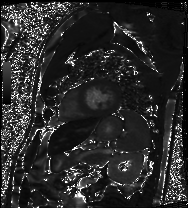
Clinical context: Cardiac MRI. Subject group: patient.